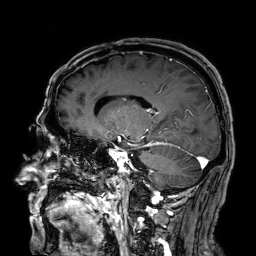
3 Tesla brain MRI.
Series: 3D T1-weighted.
Study: ring-enhancing brain masses.